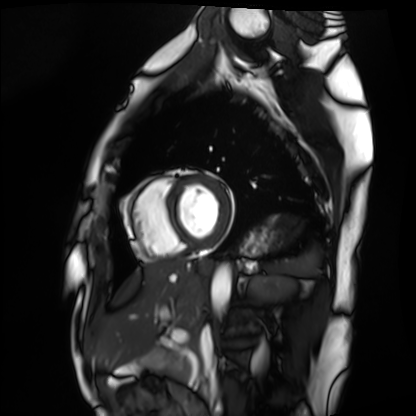
Cardiac MRI. Subject group: healthy volunteer.